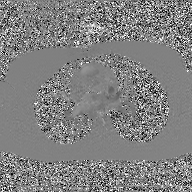
2D phase-contrast cine MRI of the ascending aorta, GAN super-resolution reconstruction.